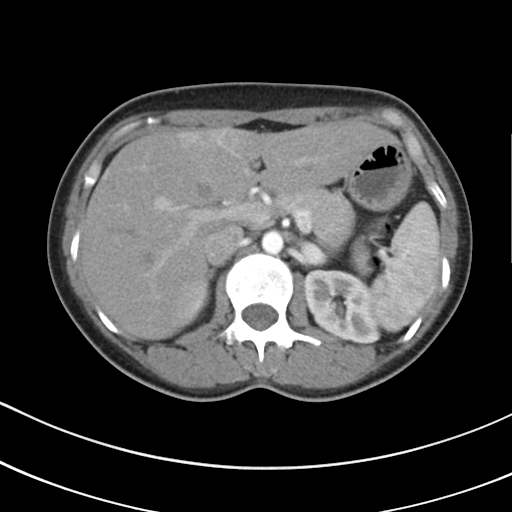
modality = multiphase abdominal CT, liver, arterial phase | patient = female, age 41.